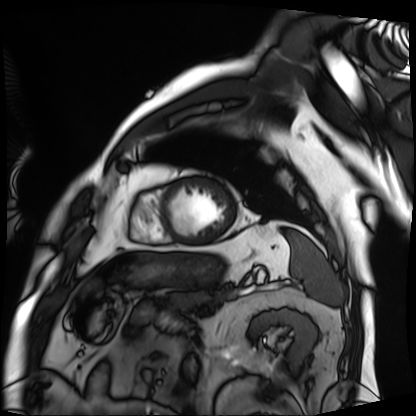
modality: cardiac MRI
cohort: patient